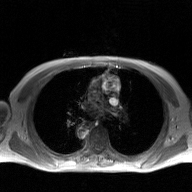
modality:
  type: 2D phase-contrast cine MRI
  region: ascending aorta
  reconstruction: GAN super-resolution reconstruction